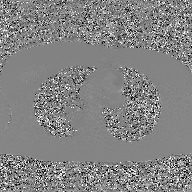
modality: 2D phase-contrast cine MRI of the ascending aorta, GAN super-resolution reconstruction.